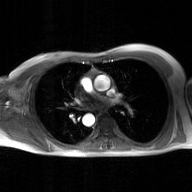
Clinical context: 2D phase-contrast cine MRI of the ascending aorta, GAN super-resolution reconstruction.